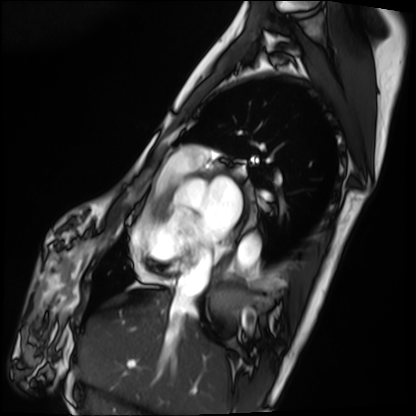
<case>
<modality>cardiac MRI</modality>
<cohort>patient</cohort>
</case>